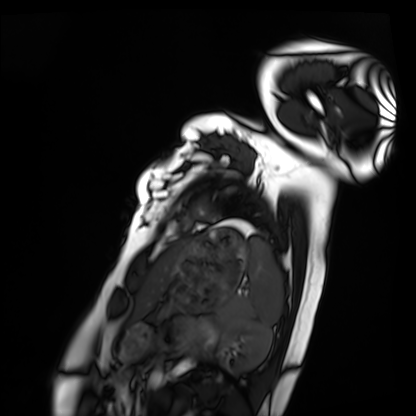
modality: cardiac MRI
cohort: healthy volunteer